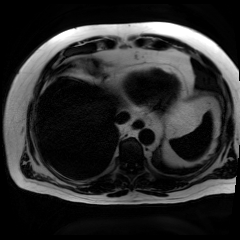
| field | value |
|---|---|
| modality | chemical-shift-encoded cardiac MRI |